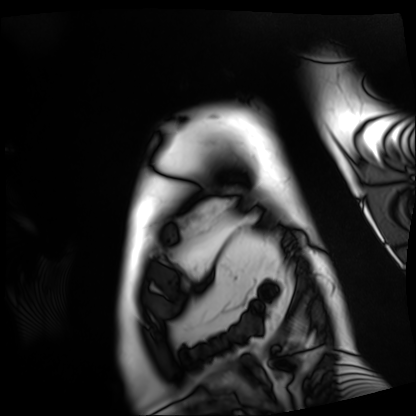
Cardiac MRI. Subject group: patient.